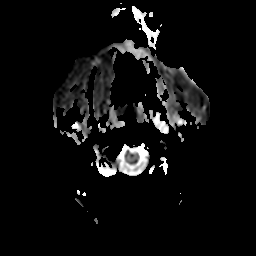
Clinical context: 3 Tesla brain MRI. Series: apparent diffusion coefficient (ADC) map. Study: ring-enhancing brain masses.